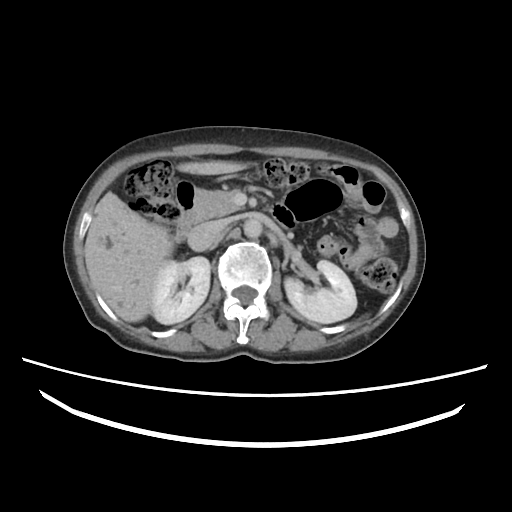
Q: What kind of scan is this?
A: Multiphase abdominal CT, liver, delayed phase.